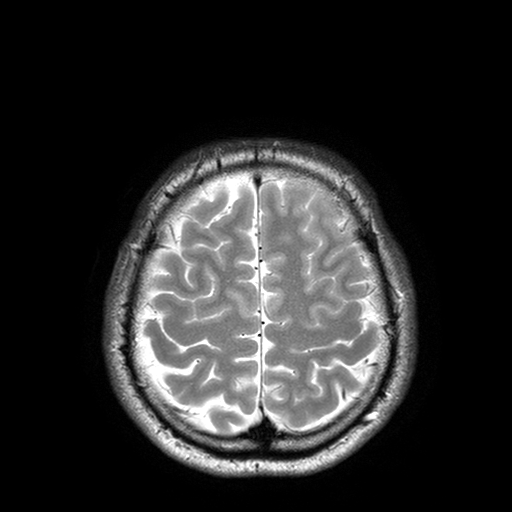
Clinical context: 3 Tesla brain MRI. Series: T2-weighted turbo spin echo with SENSE. Study: ring-enhancing brain masses.